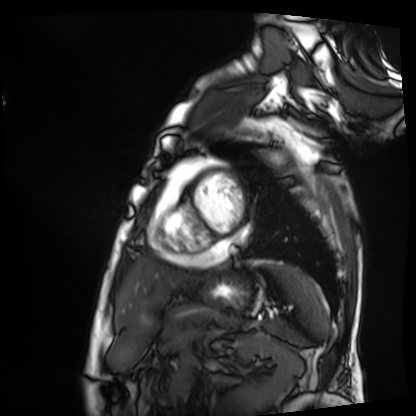
Summary:
Cardiac MRI. Subject group: patient.